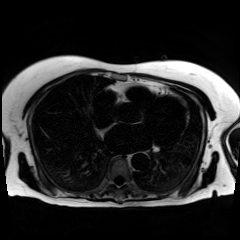
modality: chemical-shift-encoded cardiac MRI.